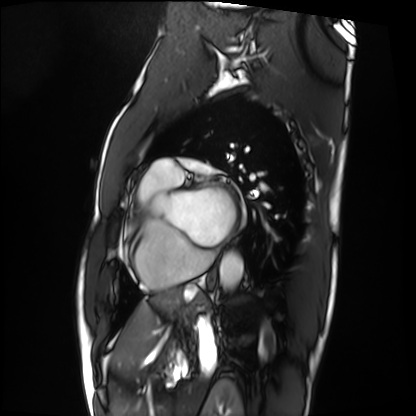
Cardiac MRI.
Subject group: patient.